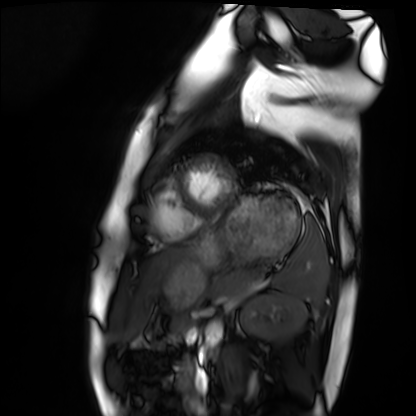
Summary: Cardiac MRI. Subject group: healthy volunteer.